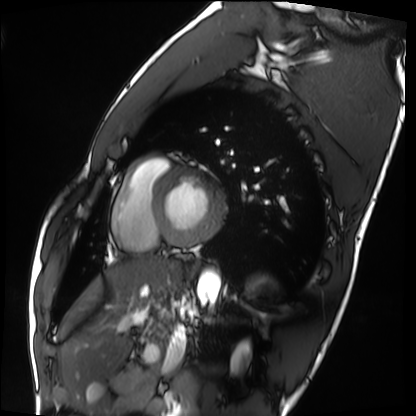
| field | value |
|---|---|
| modality | cardiac MRI |
| subject group | healthy volunteer |